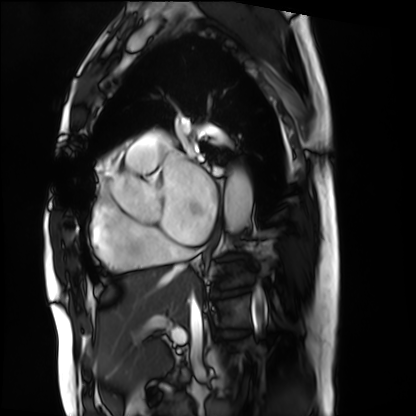
Q: What kind of scan is this?
A: Cardiac MRI.
Subject group: patient.